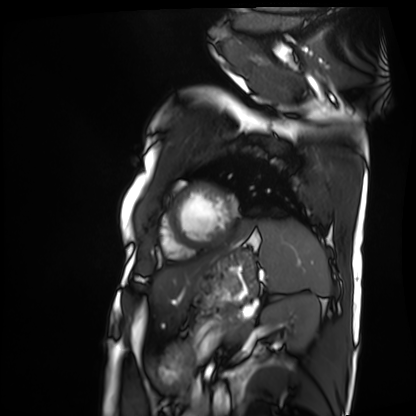
Q: What kind of scan is this?
A: Cardiac MRI.
Subject group: patient.